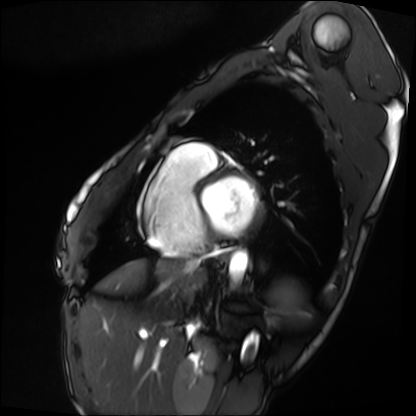
Cardiac MRI. Subject group: patient.